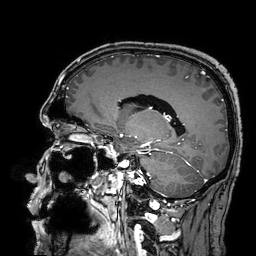
3 Tesla brain MRI. Series: 3D T1-weighted turbo field echo with SENSE. Study: ring-enhancing brain masses.